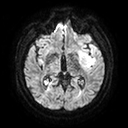
Q: What kind of scan is this?
A: 3 Tesla brain MRI.
Q: Series?
A: Diffusion tensor imaging (medium iso).
Study: ring-enhancing brain masses.